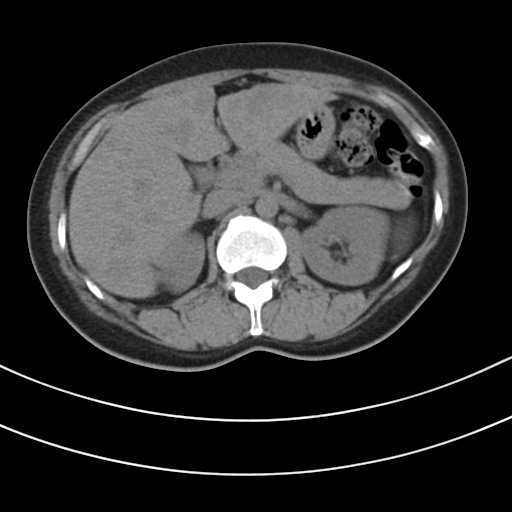
Case summary:
Multiphase abdominal CT, liver, non-contrast phase. Patient: female, age 43.